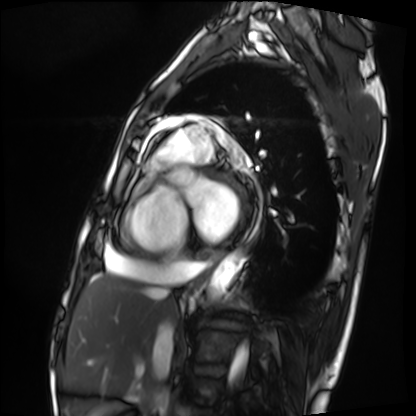
modality: cardiac MRI
cohort: patient